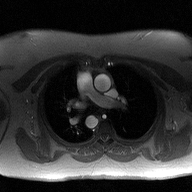
Case summary:
2D phase-contrast cine MRI of the ascending aorta, high-resolution GRAPPA acquisition.